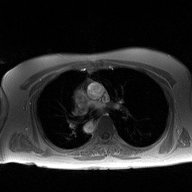
modality=2D phase-contrast cine MRI of the ascending aorta